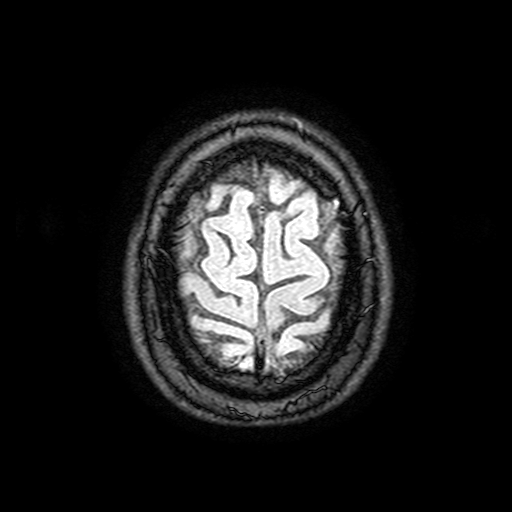
modality = 3 Tesla brain MRI | series = FLAIR with SPAIR, 3 mm | study = ring-enhancing brain masses.